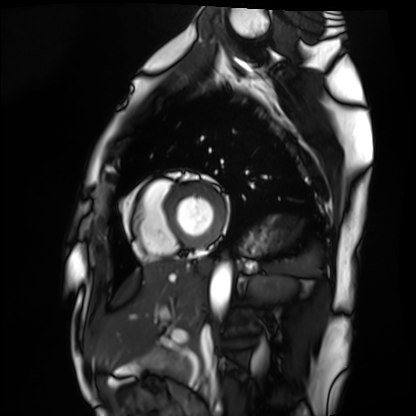
modality = cardiac MRI
subject group = healthy volunteer